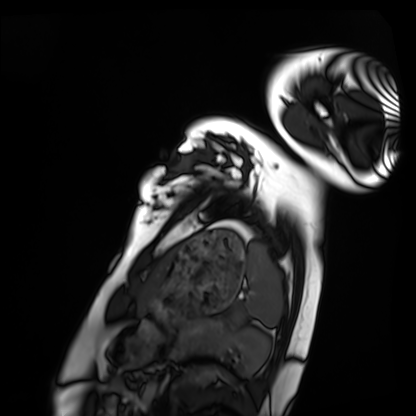
Cardiac MRI. Subject group: healthy volunteer.